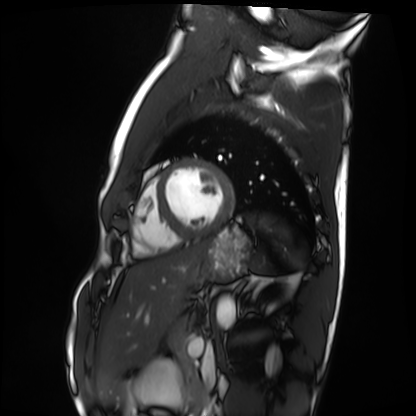
Q: What kind of scan is this?
A: Cardiac MRI.
Subject group: healthy volunteer.